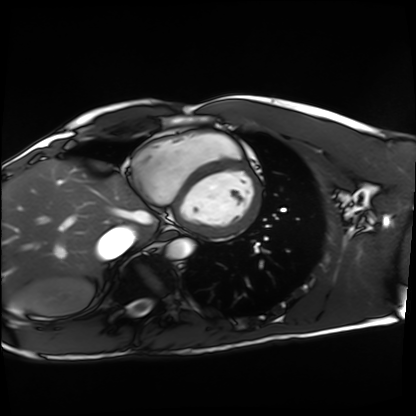
modality = cardiac MRI
subject group = healthy volunteer